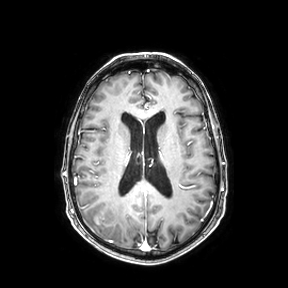
3 Tesla brain MRI. Series: axial. Study: ring-enhancing brain masses.